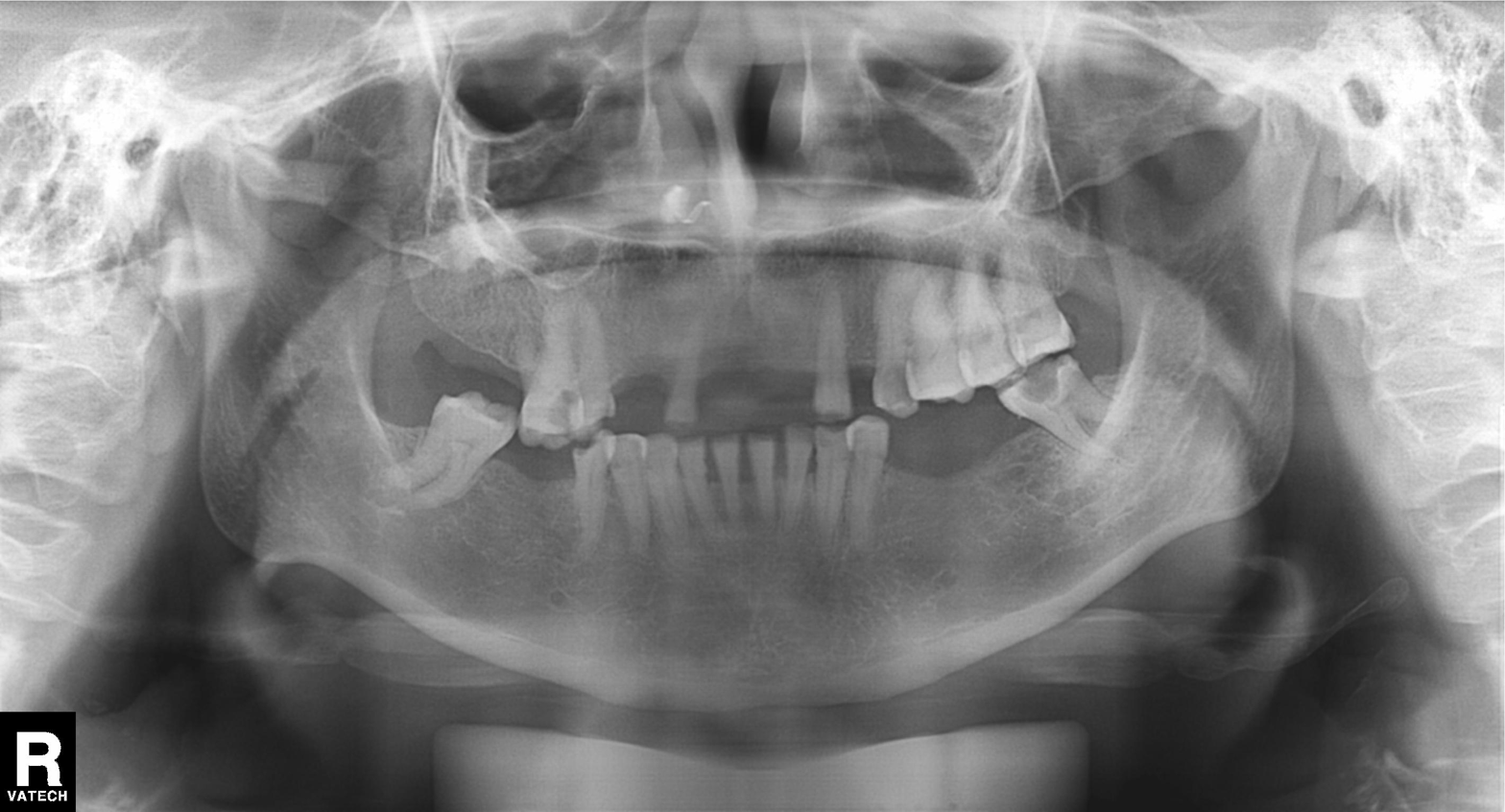
Q: What kind of scan is this?
A: Panoramic dental radiograph (orthopantomogram).
Q: What is the radiographic finding?
A: Alveolar bone loss.